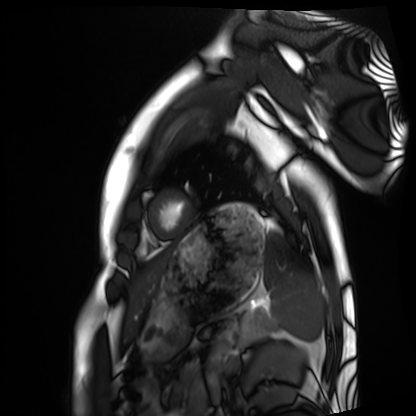
– modality: cardiac MRI
– subject group: healthy volunteer